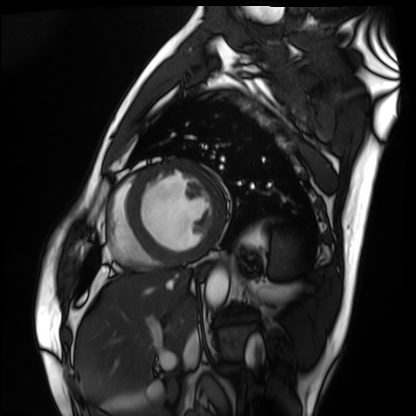
Cardiac MRI. Subject group: patient.